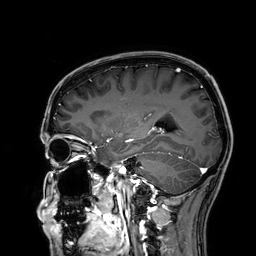
Summary: 3 Tesla brain MRI. Series: 3D T1-weighted. Study: ring-enhancing brain masses.